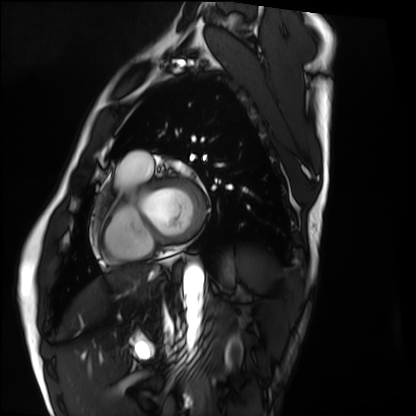
Cardiac MRI.
Subject group: healthy volunteer.